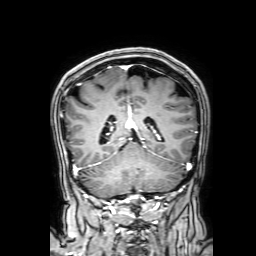
3 Tesla brain MRI. Series: 3D T1-weighted with SENSE. Study: ring-enhancing brain masses.